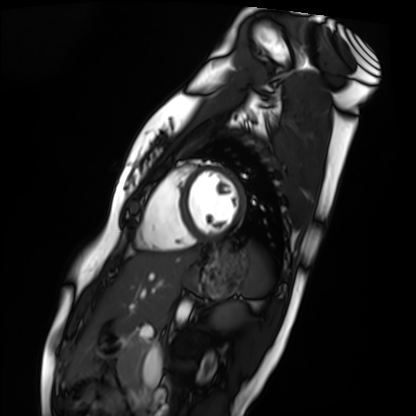
modality: cardiac MRI
subject group: healthy volunteer